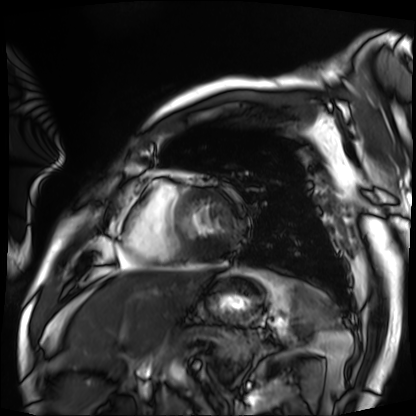
<record>
<modality>cardiac MRI</modality>
<cohort>patient</cohort>
</record>